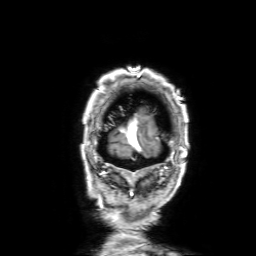
3 Tesla brain MRI. Series: 3D T1-weighted with SENSE. Study: ring-enhancing brain masses.